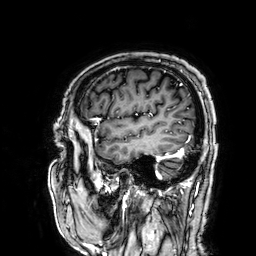
3 Tesla brain MRI. Series: 3D T1-weighted. Study: ring-enhancing brain masses.